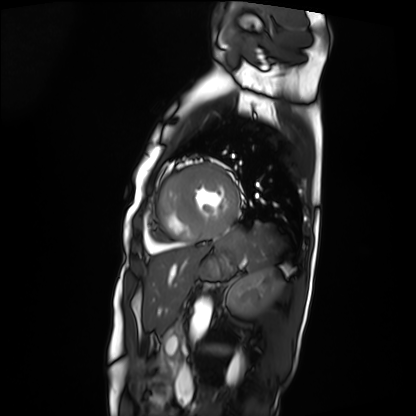
modality: cardiac MRI
subject group: patient